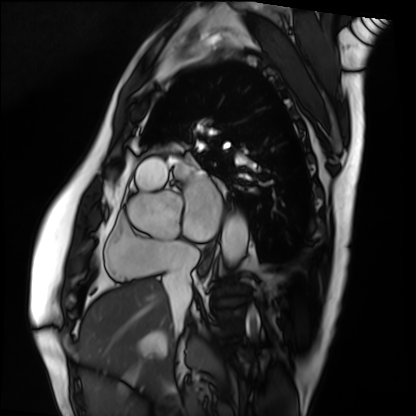
Q: What kind of scan is this?
A: Cardiac MRI.
Subject group: patient.